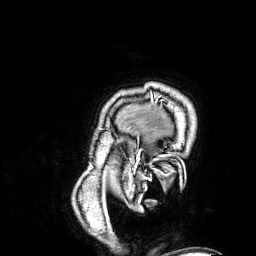
Case summary: 3 Tesla brain MRI. Series: 3D T1-weighted. Study: ring-enhancing brain masses.